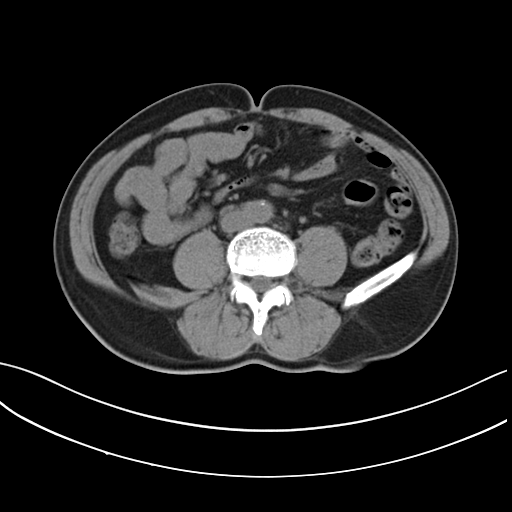
modality = multiphase abdominal CT, liver, non-contrast phase | patient = male, age 66.